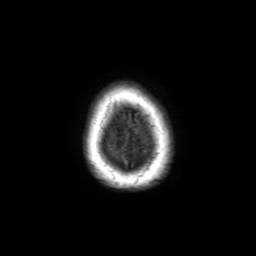
3 Tesla brain MRI. Series: 3D T1-weighted TFE with SENSE. Study: ring-enhancing brain masses.